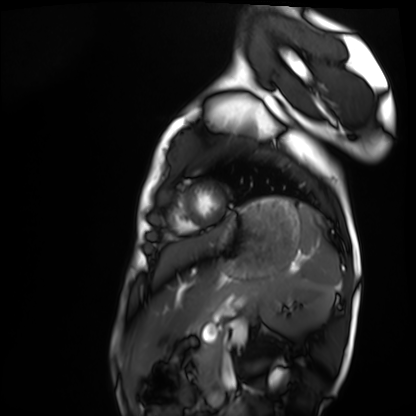
Cardiac MRI.
Subject group: healthy volunteer.